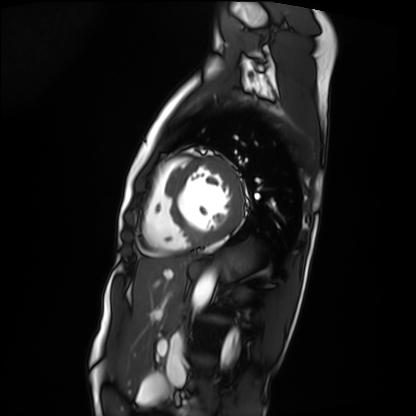
Cardiac MRI.
Subject group: patient.